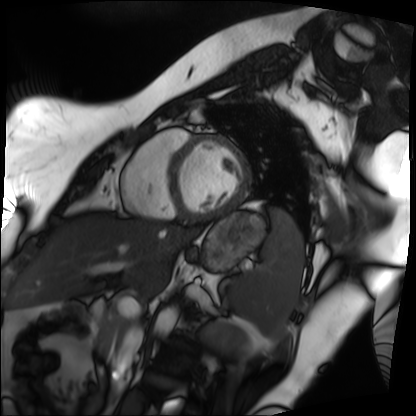
Cardiac MRI.
Subject group: patient.